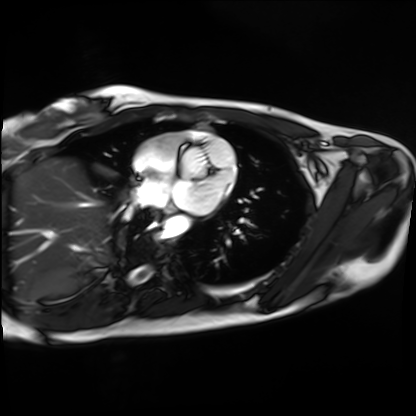
modality: cardiac MRI | subject group: healthy volunteer.